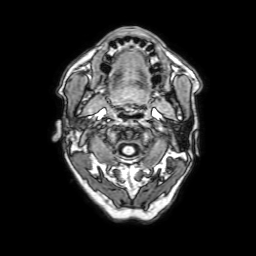
3 Tesla brain MRI. Series: 3D T1-weighted with SENSE. Study: ring-enhancing brain masses.